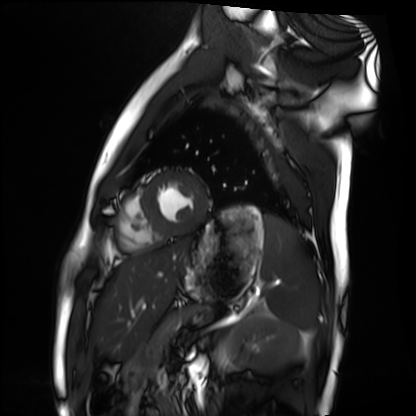
Cardiac MRI. Subject group: healthy volunteer.